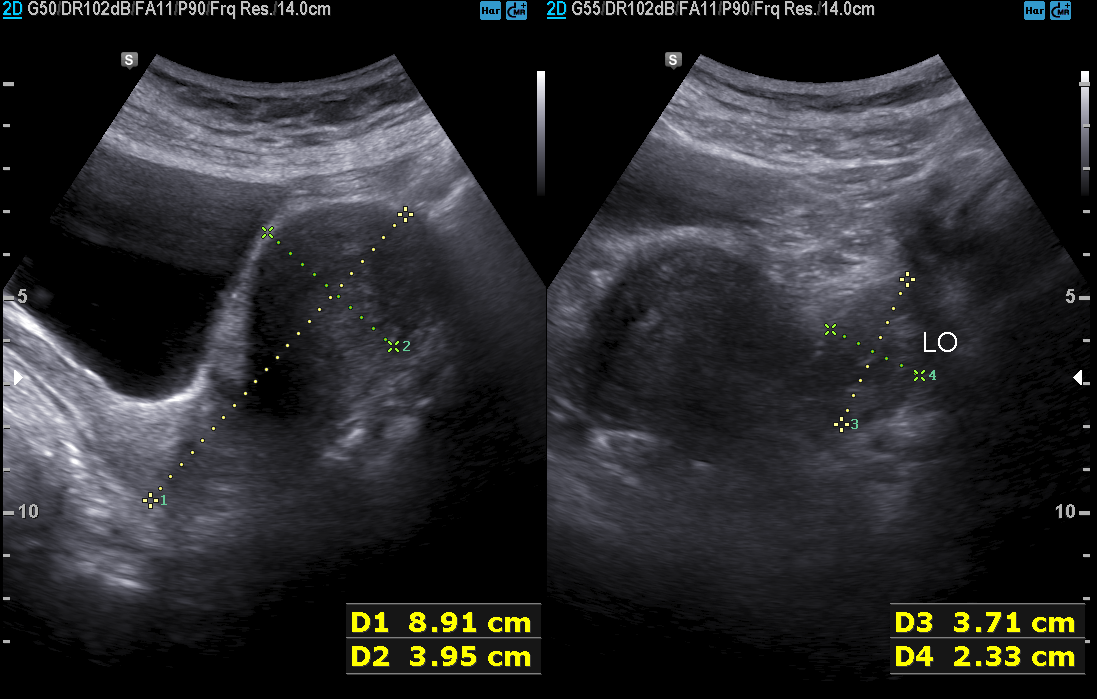
modality:
  type: genitourinary ultrasound